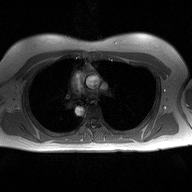
Case summary:
2D phase-contrast cine MRI of the ascending aorta, high-resolution GRAPPA acquisition.